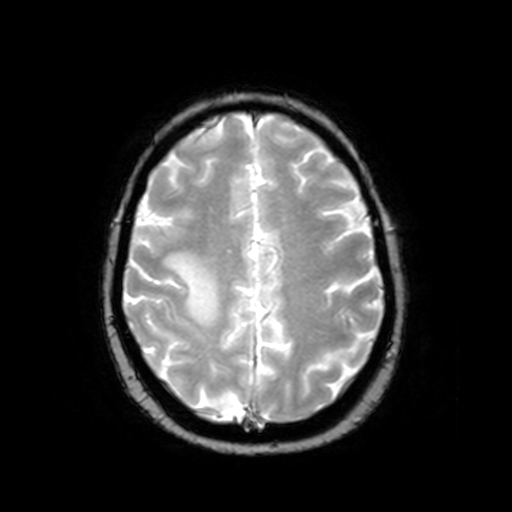
| field | value |
|---|---|
| modality | 3 Tesla brain MRI |
| series | T2-weighted fast field echo |
| study | ring-enhancing brain masses |